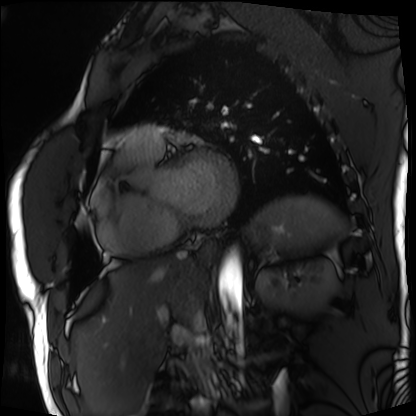
Summary: Cardiac MRI. Subject group: patient.